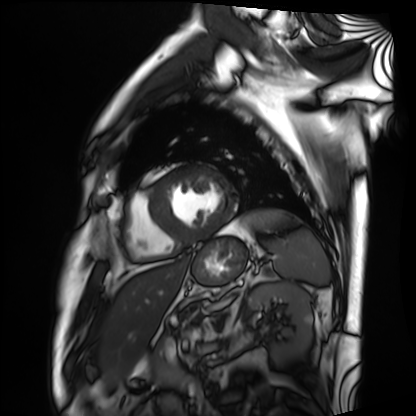
Case summary: Cardiac MRI. Subject group: patient.